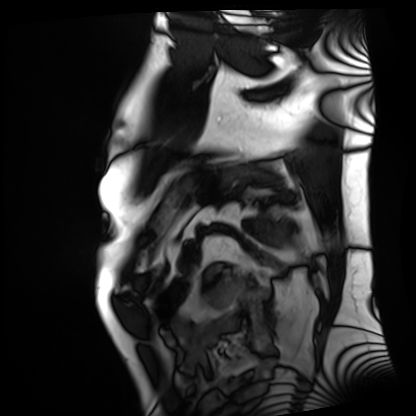
Summary: Cardiac MRI. Subject group: patient.